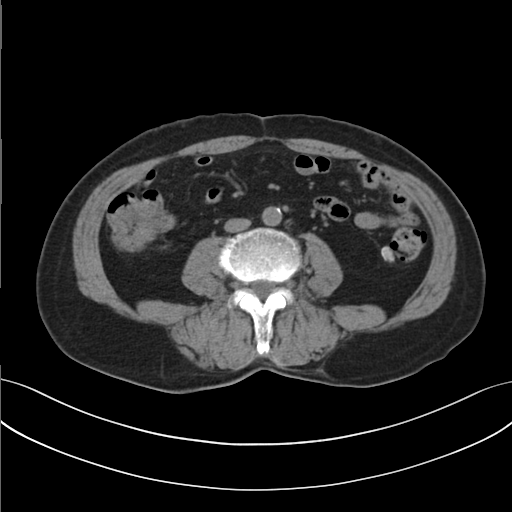
Clinical context:
Multiphase abdominal CT, liver, non-contrast phase. Patient: male, age 72.